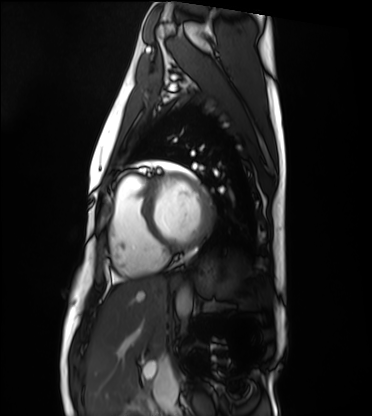
Q: What kind of scan is this?
A: Cardiac MRI.
Subject group: healthy volunteer.